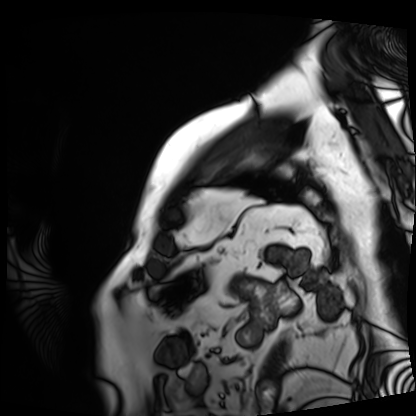
modality: cardiac MRI
cohort: patient